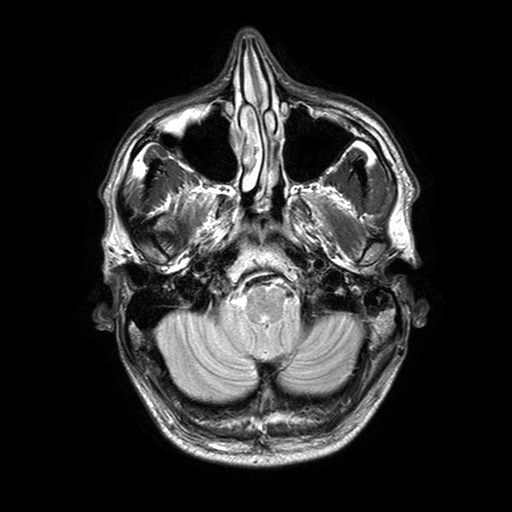
{"modality": {"type": "brain MRI", "field_strength": "3T"}, "series": "T2-weighted turbo spin echo with SENSE", "study_topic": "ring-enhancing brain masses"}